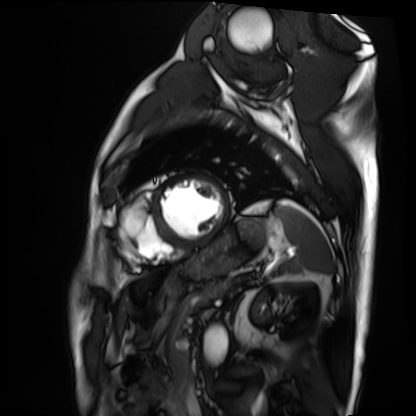
Cardiac MRI.
Subject group: patient.